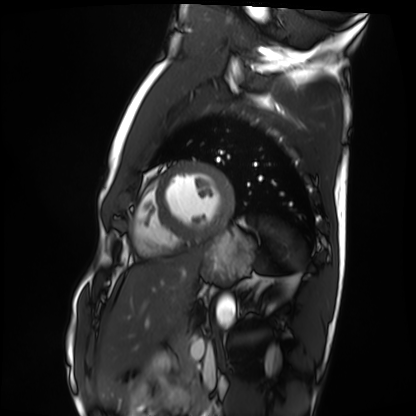
Cardiac MRI.
Subject group: healthy volunteer.